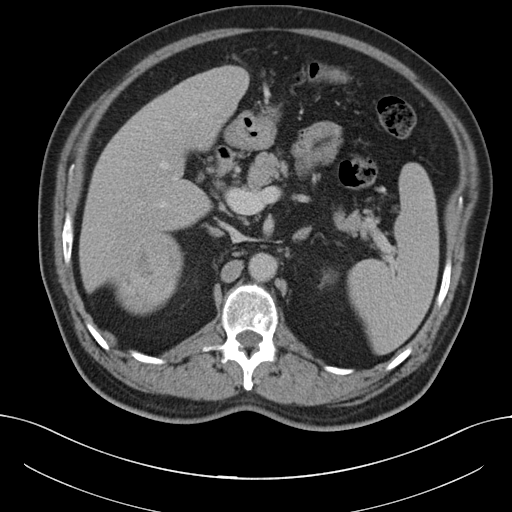
Clinical context: Multiphase abdominal CT, liver, portal venous phase. Patient: male, age 56.